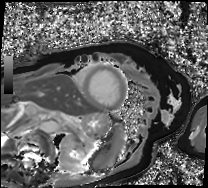
| field | value |
|---|---|
| modality | cardiac MRI |
| subject group | patient |